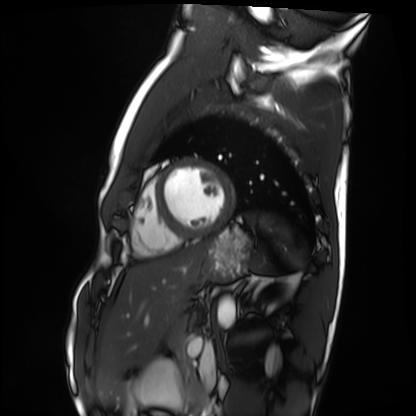
Clinical context: Cardiac MRI. Subject group: healthy volunteer.